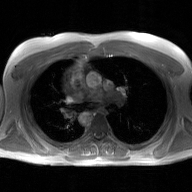
Q: What kind of scan is this?
A: 2D phase-contrast cine MRI of the ascending aorta, GAN super-resolution reconstruction.